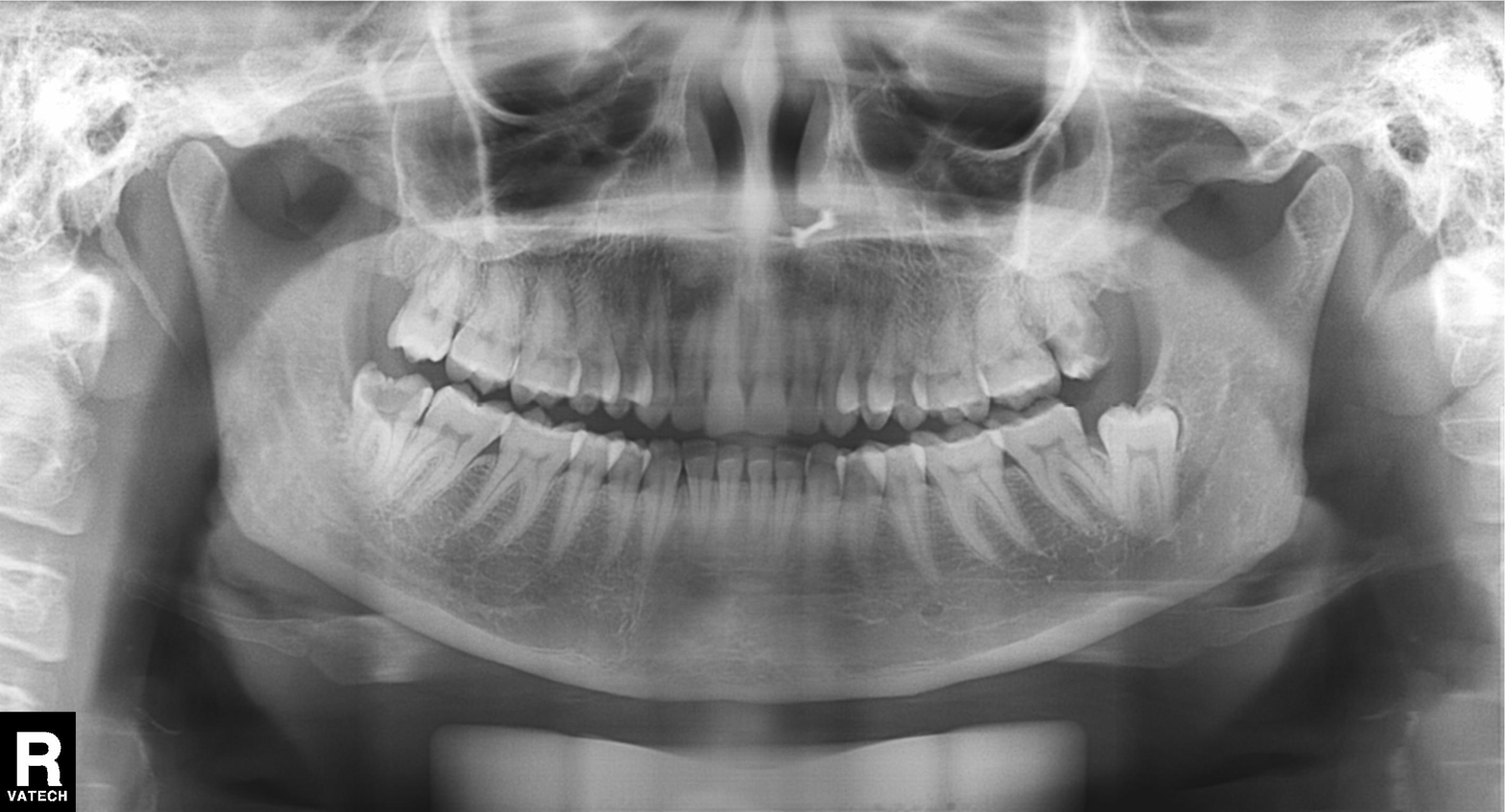
Clinical context:
Panoramic dental radiograph (orthopantomogram).
Conclusion:
Dental caries (cavities).